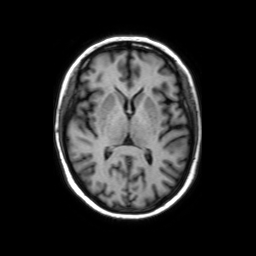
{"modality": {"type": "brain MRI", "field_strength": "3T"}, "series": "axial without contrast", "study_topic": "ring-enhancing brain masses"}